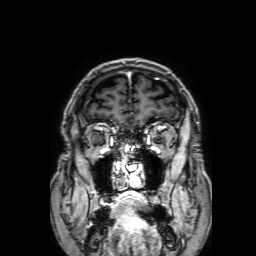
3 Tesla brain MRI.
Series: 3D T1-weighted with SENSE.
Study: ring-enhancing brain masses.